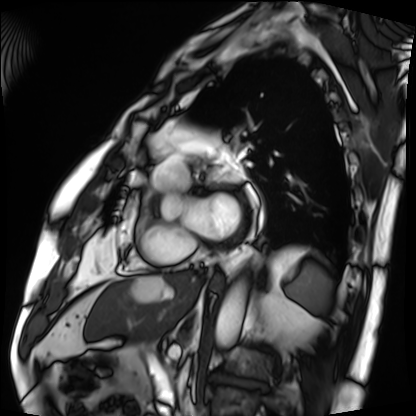
  modality: cardiac MRI
  cohort: patient